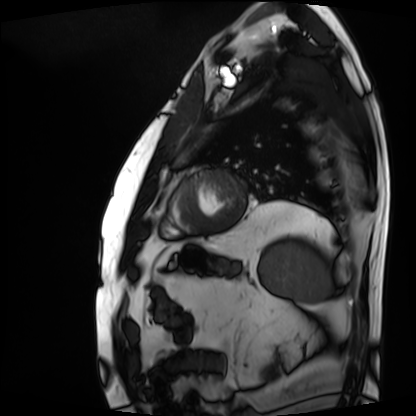
Cardiac MRI. Subject group: patient.